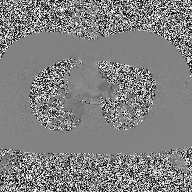
Q: What kind of scan is this?
A: 2D phase-contrast cine MRI of the ascending aorta.